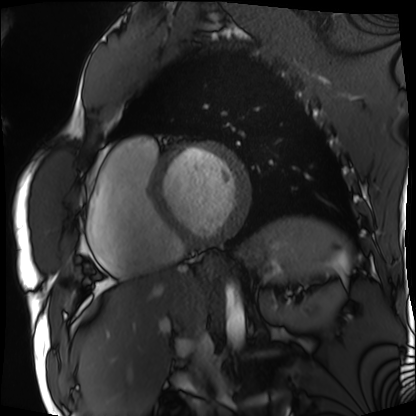
Cardiac MRI.
Subject group: patient.